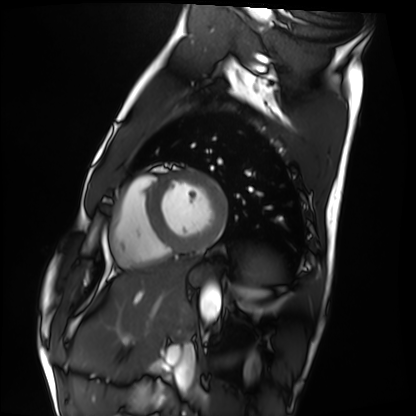
Cardiac MRI. Subject group: healthy volunteer.